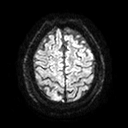
- modality: 3 Tesla brain MRI
- series: diffusion tensor imaging (medium iso)
- study: ring-enhancing brain masses